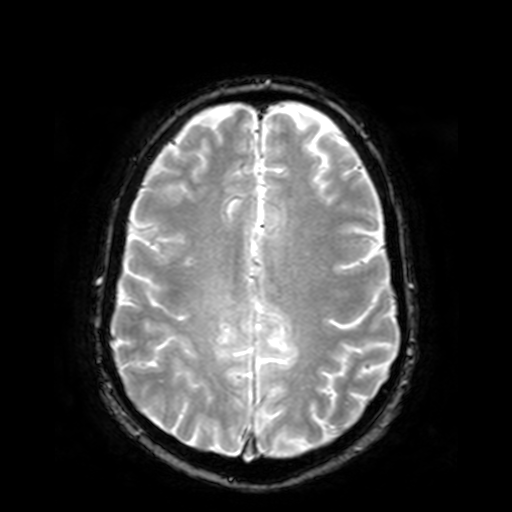
modality: 3 Tesla brain MRI; series: T2-weighted fast field echo; study: ring-enhancing brain masses.